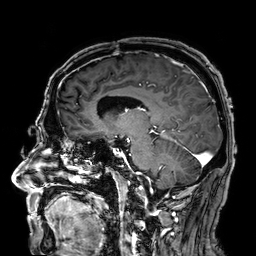
Clinical context:
3 Tesla brain MRI. Series: 3D T1-weighted. Study: ring-enhancing brain masses.